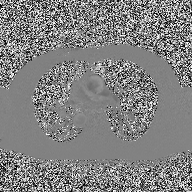
{
  "modality": {
    "type": "2D phase-contrast cine MRI",
    "region": "ascending aorta",
    "reconstruction": "high-resolution GRAPPA acquisition"
  }
}